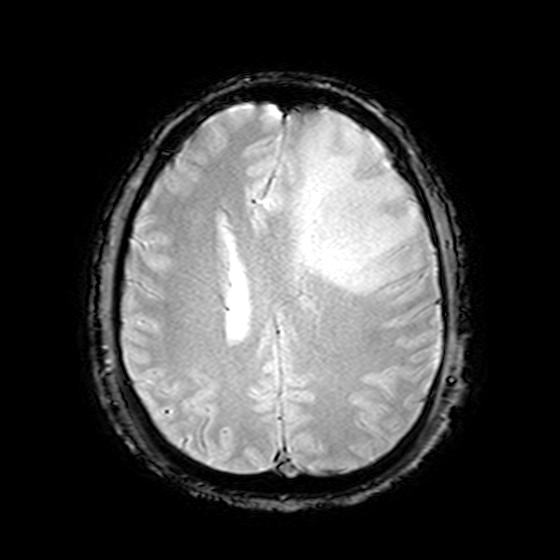
Case summary: 3 Tesla brain MRI. Series: T2-weighted fast field echo. Study: ring-enhancing brain masses.